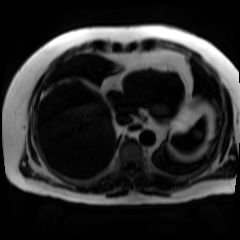
Chemical-shift-encoded cardiac MRI.